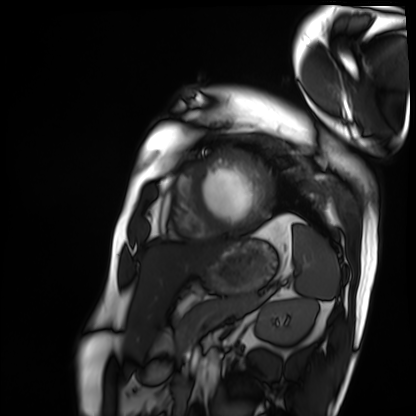
modality = cardiac MRI | subject group = patient.